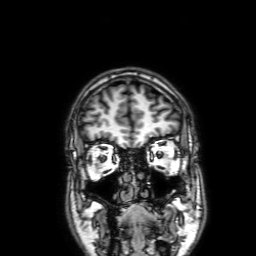
modality: 3 Tesla brain MRI | series: 3D T1-weighted with SENSE | study: ring-enhancing brain masses.